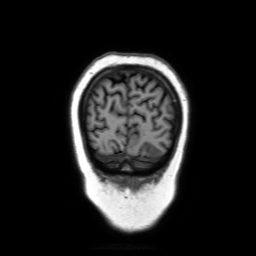
modality: 3 Tesla brain MRI
study: ring-enhancing brain masses